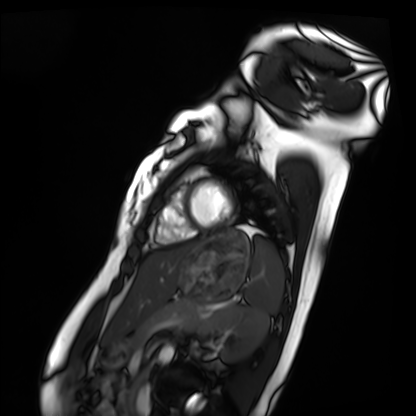
| field | value |
|---|---|
| modality | cardiac MRI |
| subject group | healthy volunteer |